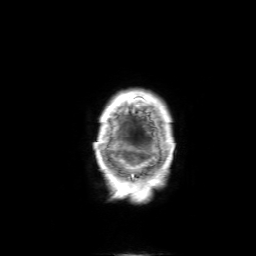
<case>
<modality>
  <type>brain MRI</type>
  <field_strength>3T</field_strength>
</modality>
<series>3D T1-weighted with SENSE</series>
<study_topic>ring-enhancing brain masses</study_topic>
</case>